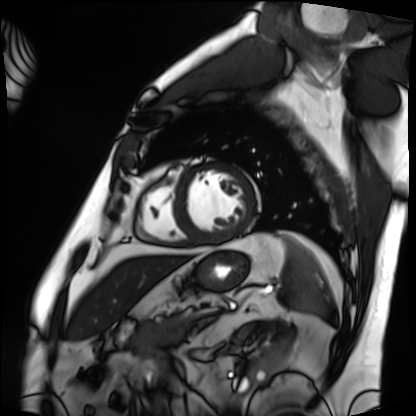
Case:
• modality — cardiac MRI
• subject group — patient